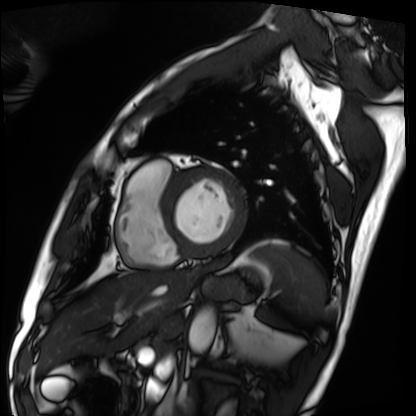
Cardiac MRI. Subject group: patient.